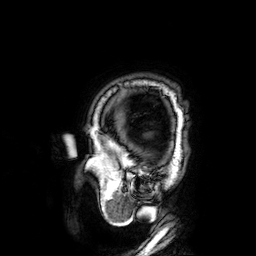
<record>
<modality>
  <type>brain MRI</type>
  <field_strength>3T</field_strength>
</modality>
<series>3D T1-weighted</series>
<study_topic>ring-enhancing brain masses</study_topic>
</record>